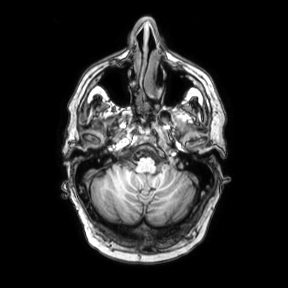
  modality:
    type: brain MRI
    field_strength: 3T
  series: axial
  study_topic: ring-enhancing brain masses